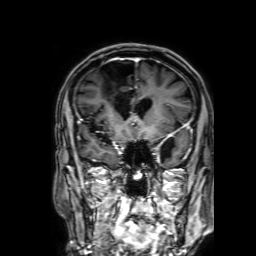
modality: 3 Tesla brain MRI | series: 3D T1-weighted with SENSE | study: ring-enhancing brain masses.